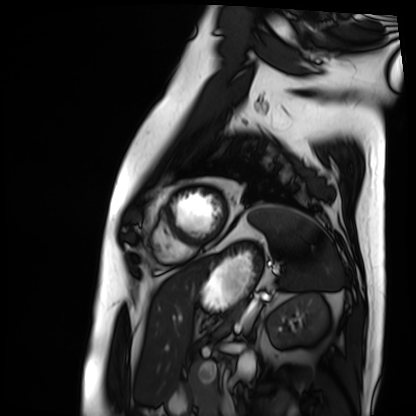
- modality: cardiac MRI
- subject group: patient